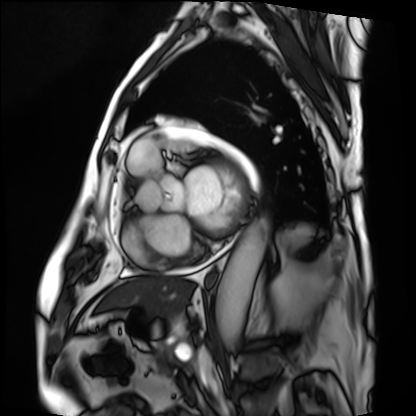
Cardiac MRI. Subject group: patient.